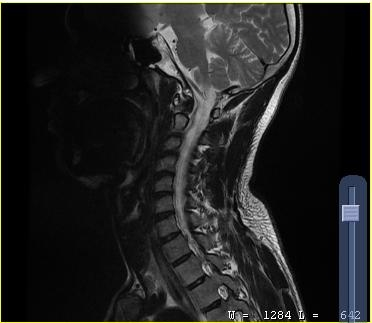
Q: What kind of scan is this?
A: MRI of the cervical spine.
Study: cervical spondylosis.